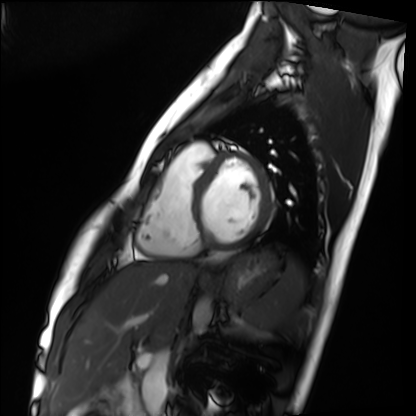
Cardiac MRI. Subject group: healthy volunteer.